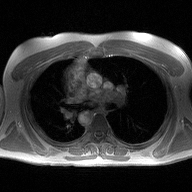
2D phase-contrast cine MRI of the ascending aorta, high-resolution GRAPPA acquisition.